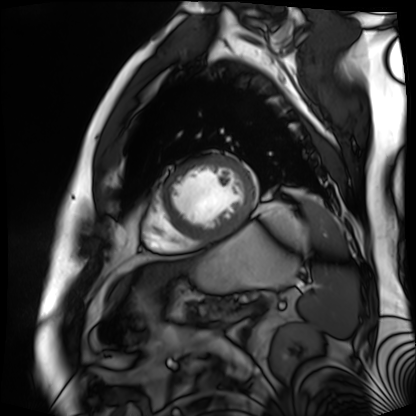
Summary: Cardiac MR image of the myocardium. Subject cohort: cardiac patient.